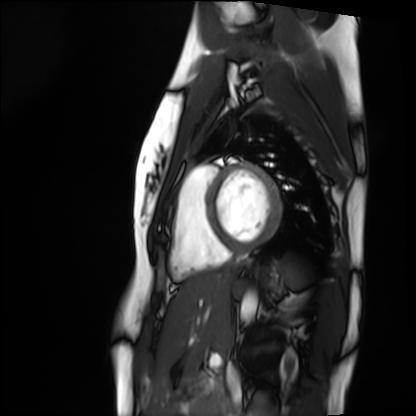
Cardiac MRI. Subject group: healthy volunteer.